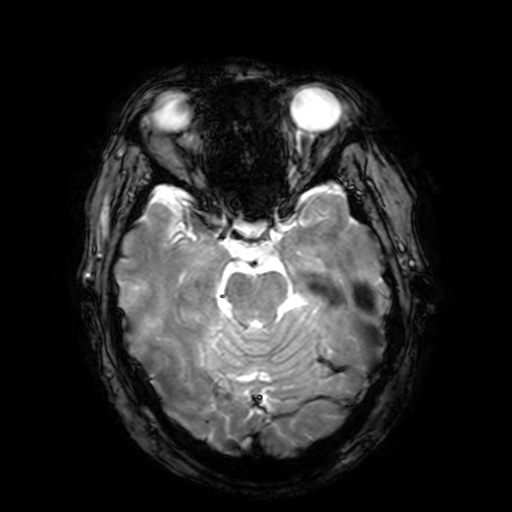
modality = 3 Tesla brain MRI | series = T2-weighted fast field echo with SENSE | study = ring-enhancing brain masses.